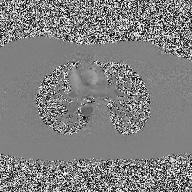
modality — 2D phase-contrast cine MRI of the ascending aorta